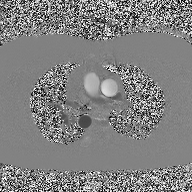
Case:
• modality: 2D phase-contrast cine MRI of the ascending aorta